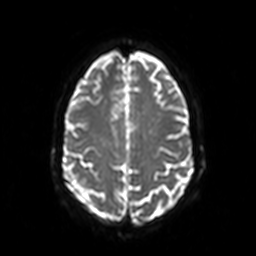
modality: 3 Tesla brain MRI; series: diffusion-weighted imaging; study: ring-enhancing brain masses.